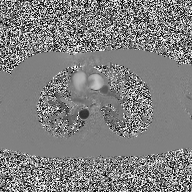
| field | value |
|---|---|
| modality | 2D phase-contrast cine MRI of the ascending aorta |